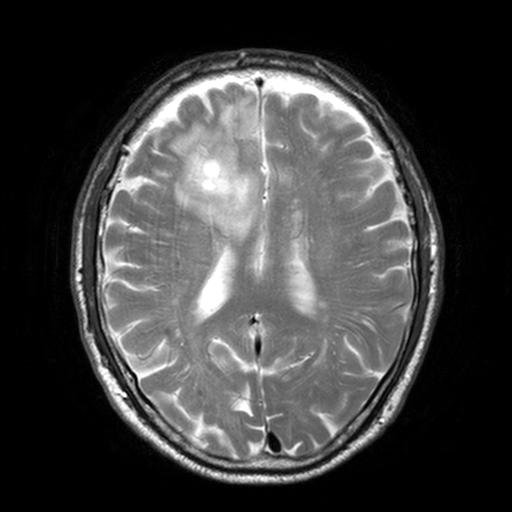
3 Tesla brain MRI.
Series: T2-weighted turbo spin echo, 3 mm.
Study: ring-enhancing brain masses.